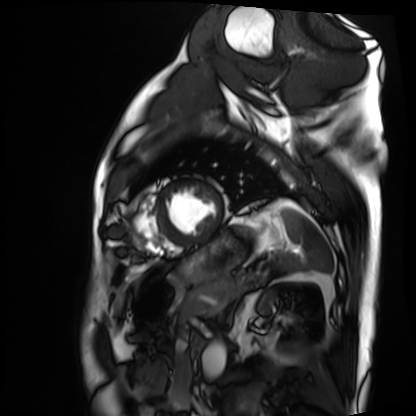
Cardiac MRI. Subject group: patient.